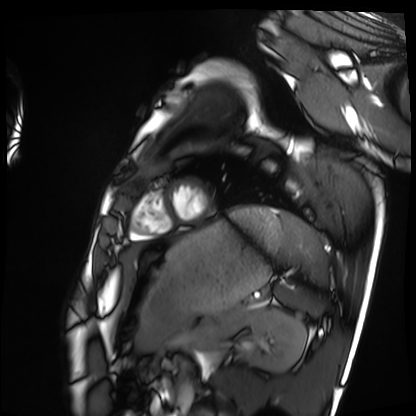
  modality: cardiac MRI
  cohort: healthy volunteer